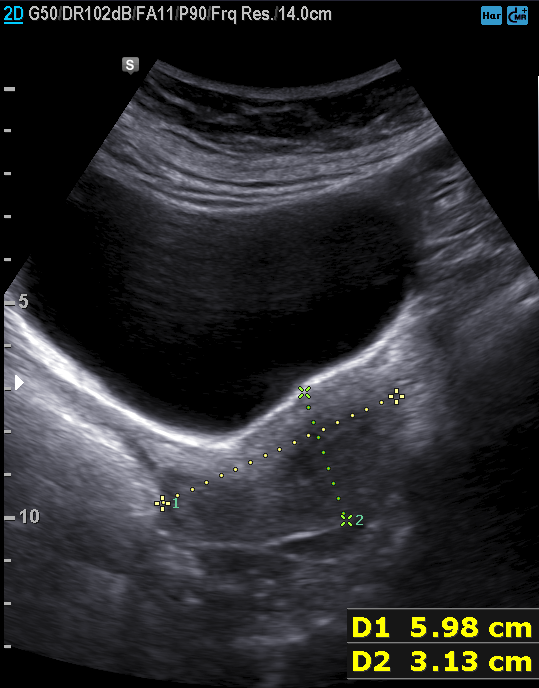
Clinical context: Genitourinary ultrasound.